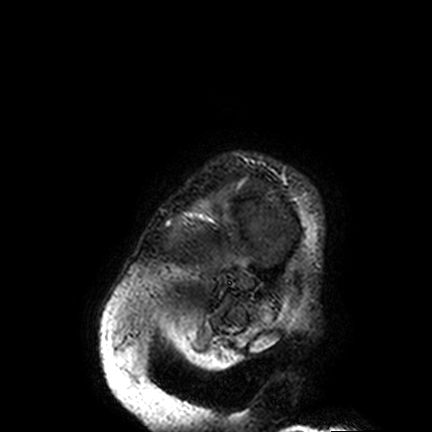
3 Tesla brain MRI.
Series: FLAIR VISTA.
Study: ring-enhancing brain masses.